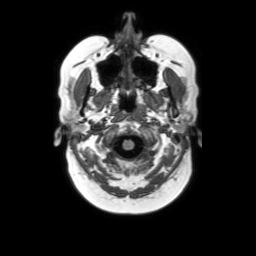
{
  "modality": {
    "type": "brain MRI",
    "field_strength": "3T"
  },
  "series": "axial without contrast",
  "study_topic": "ring-enhancing brain masses"
}